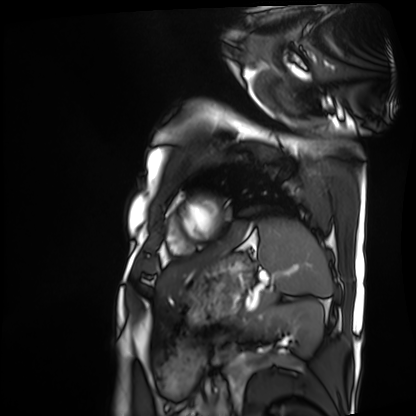
Cardiac MRI.
Subject group: patient.